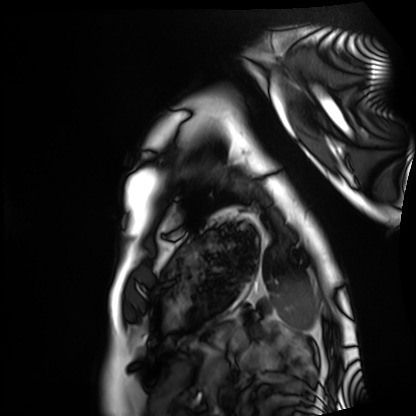
Cardiac MRI. Subject group: healthy volunteer.